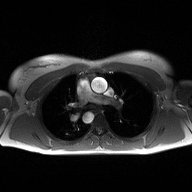
Q: What kind of scan is this?
A: 2D phase-contrast cine MRI of the ascending aorta.